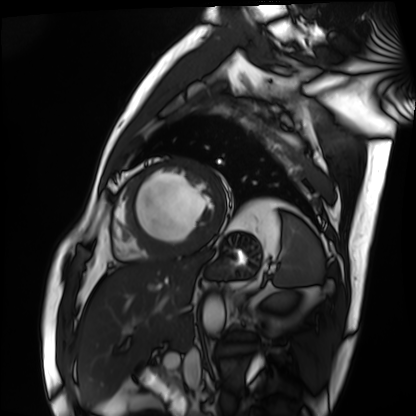
{
  "modality": "cardiac MRI",
  "cohort": "patient"
}